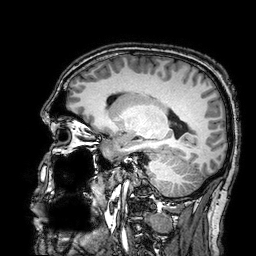
modality:
  type: brain MRI
  field_strength: 3T
series: 3D T1-weighted turbo field echo with SENSE
study_topic: ring-enhancing brain masses